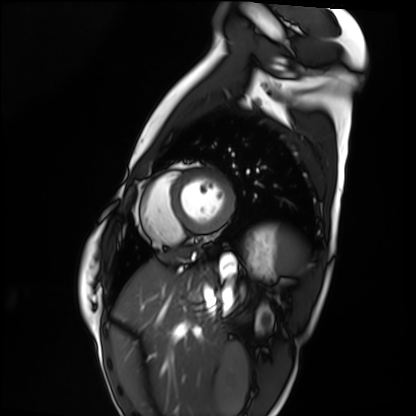
modality: cardiac MRI | subject group: healthy volunteer.